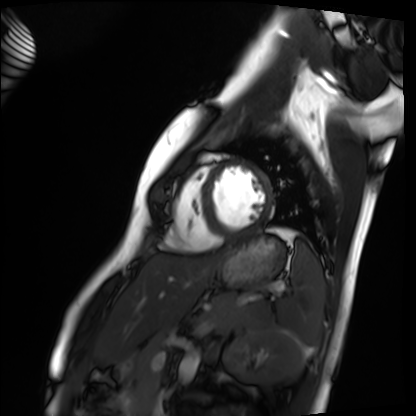
Case:
- modality: cardiac MRI
- subject group: healthy volunteer